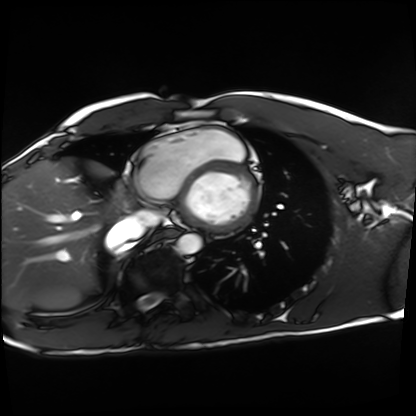
Cardiac MRI. Subject group: healthy volunteer.